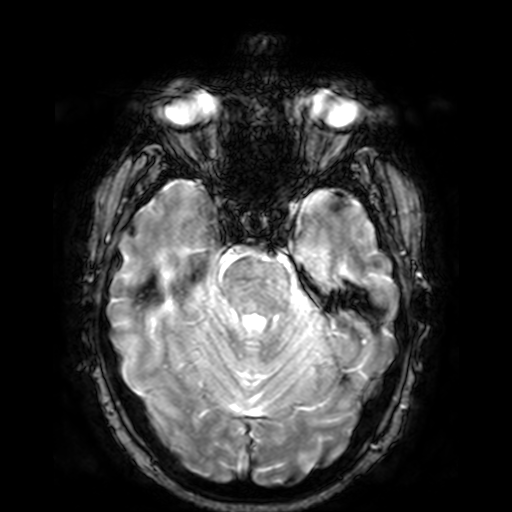
{"modality": {"type": "brain MRI", "field_strength": "3T"}, "series": "T2-weighted fast field echo", "study_topic": "ring-enhancing brain masses"}